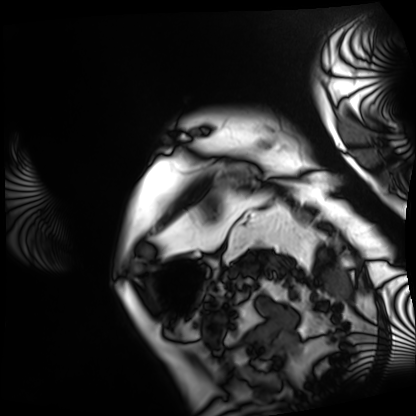
Clinical context: Cardiac MRI. Subject group: patient.